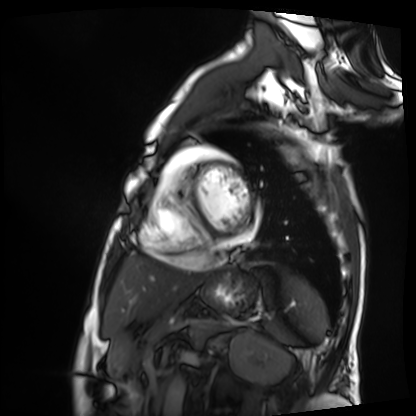
modality: cardiac MRI
subject group: patient